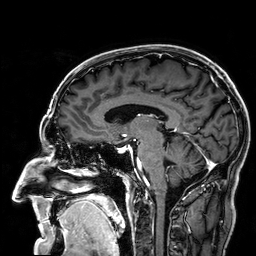
Summary:
3 Tesla brain MRI. Series: 3D T1-weighted. Study: ring-enhancing brain masses.